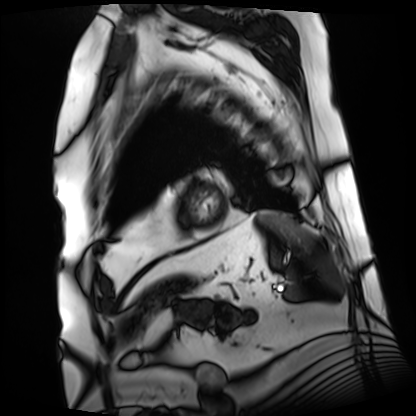
Cardiac MRI.
Subject group: patient.